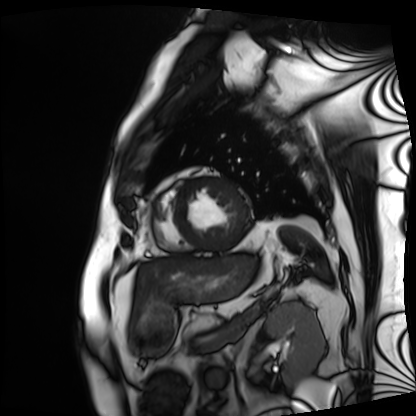
modality: cardiac MRI | subject group: patient.